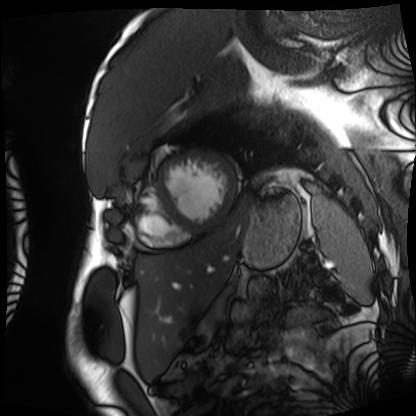
Cardiac MRI.
Subject group: patient.